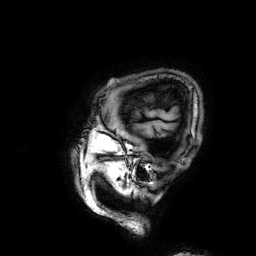
Case:
* modality: 3 Tesla brain MRI
* series: 3D T1-weighted
* study: ring-enhancing brain masses